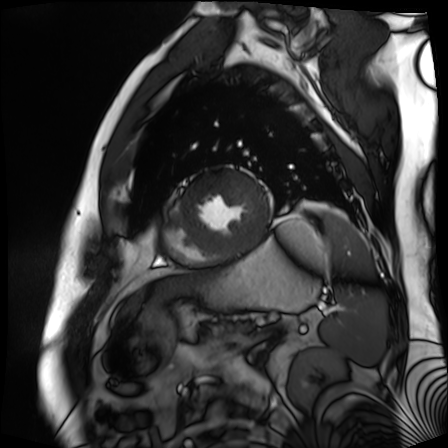
<study>
<modality>cardiac MR image of the myocardium</modality>
<cohort>cardiac patient</cohort>
</study>